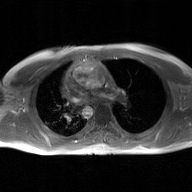
Q: What kind of scan is this?
A: 2D phase-contrast cine MRI of the ascending aorta, GAN super-resolution reconstruction.